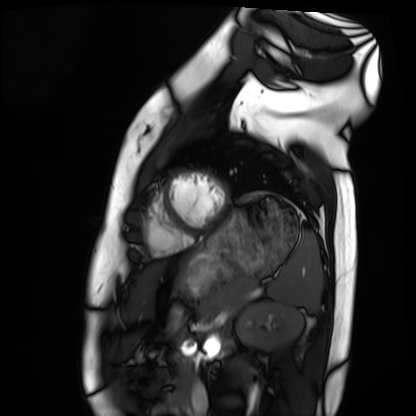
Case:
* modality — cardiac MRI
* subject group — healthy volunteer